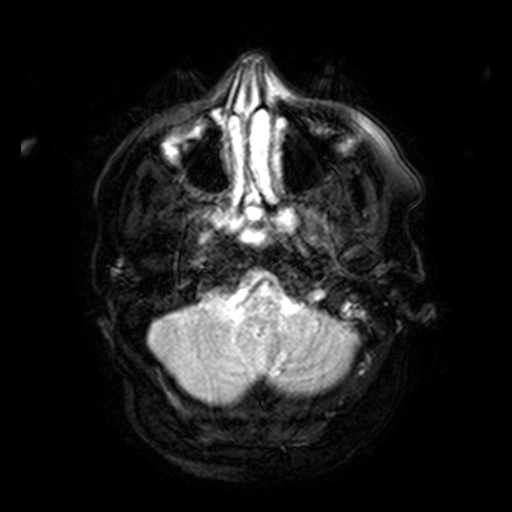
Clinical context:
3 Tesla brain MRI. Series: FLAIR with SPAIR, 3 mm. Study: ring-enhancing brain masses.